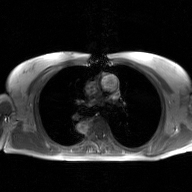
2D phase-contrast cine MRI of the ascending aorta, GAN super-resolution reconstruction.